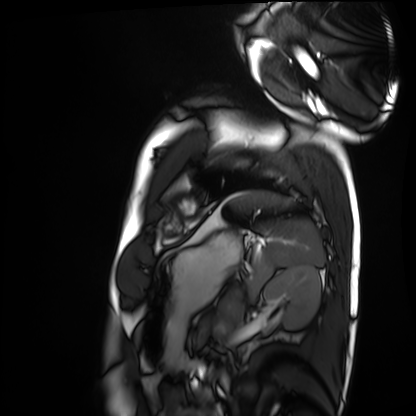
Cardiac MRI. Subject group: healthy volunteer.